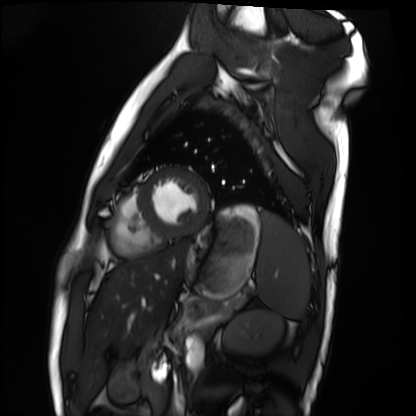
Cardiac MRI.
Subject group: healthy volunteer.